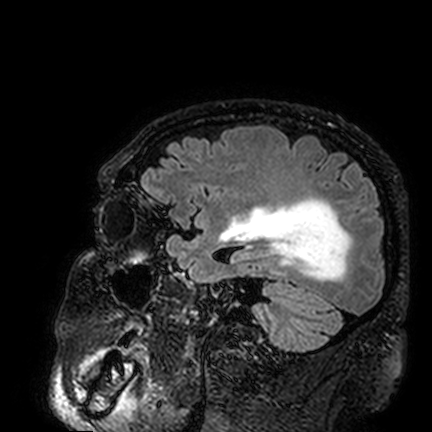
Q: What kind of scan is this?
A: 3 Tesla brain MRI.
Q: Series?
A: FLAIR VISTA.
Study: ring-enhancing brain masses.